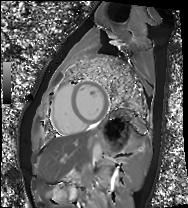
Summary: Cardiac MRI. Subject group: healthy volunteer.